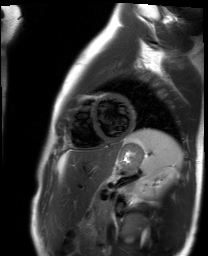
modality: cardiac MR image of the myocardium
cohort: healthy volunteer